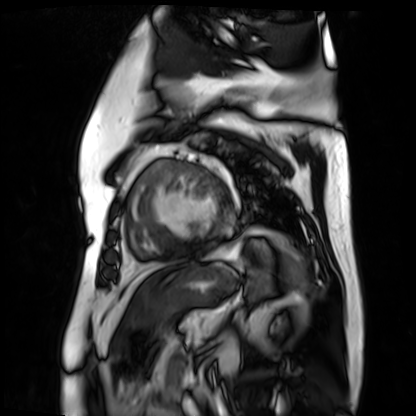
Q: What kind of scan is this?
A: Cardiac MR image of the myocardium.
Subject cohort: cardiac patient.